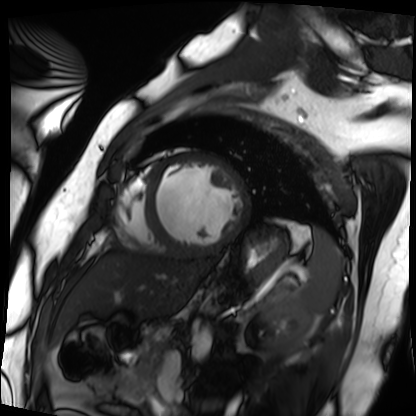
Summary: Cardiac MRI. Subject group: patient.